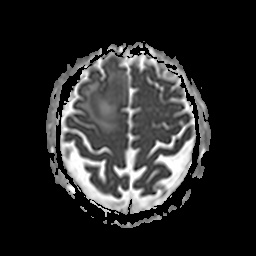
| field | value |
|---|---|
| modality | 3 Tesla brain MRI |
| series | apparent diffusion coefficient (ADC) map |
| study | ring-enhancing brain masses |